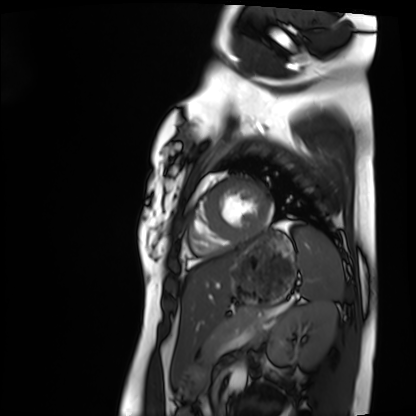
Cardiac MRI.
Subject group: healthy volunteer.